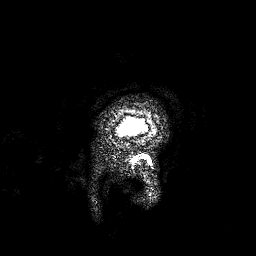
3 Tesla brain MRI. Series: 3D T1-weighted. Study: ring-enhancing brain masses.